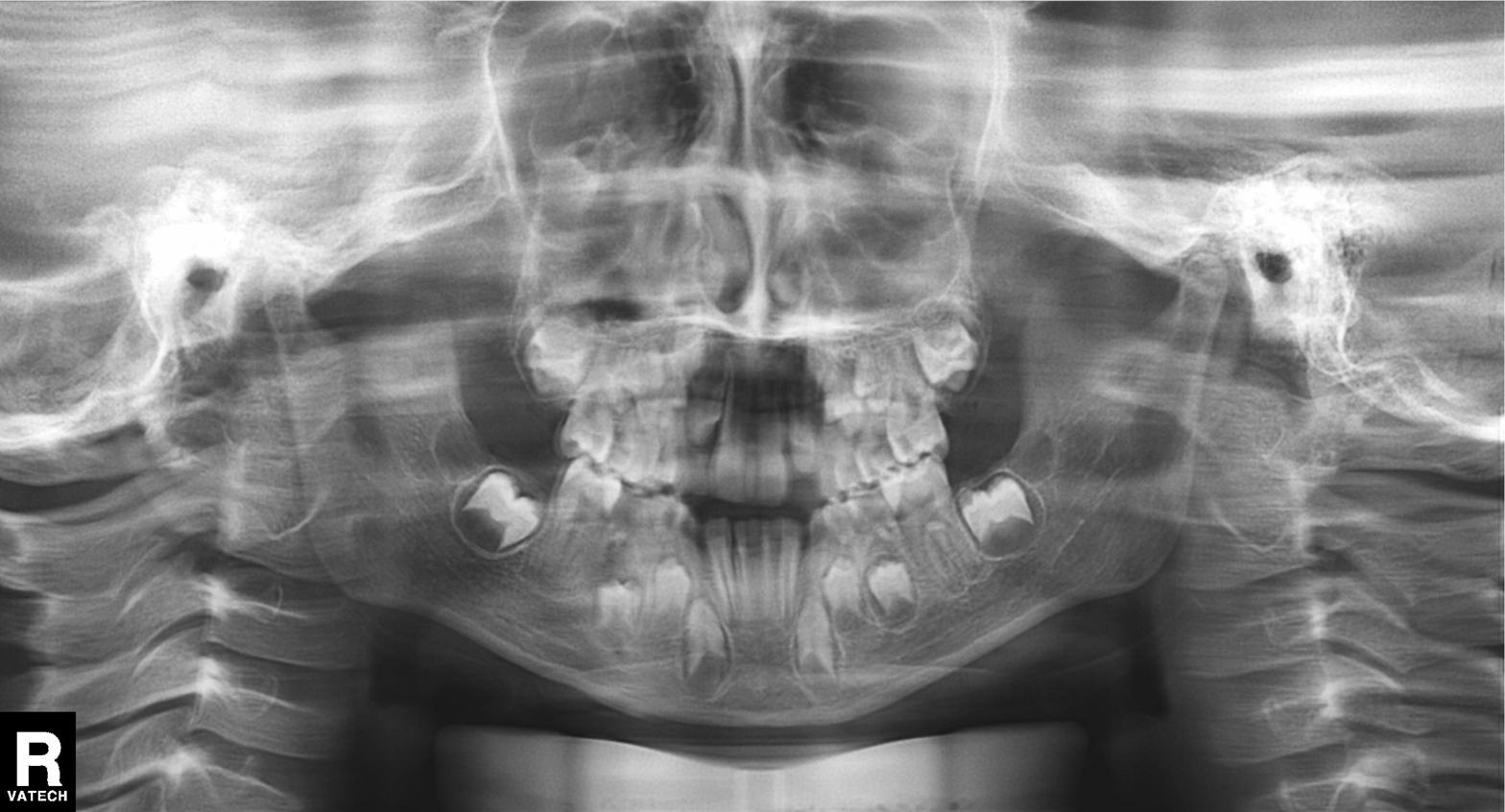
Panoramic dental radiograph (orthopantomogram).
Finding: alveolar bone loss.